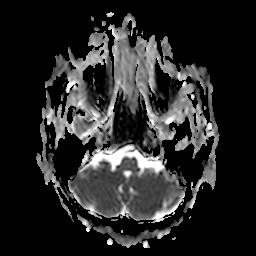
| field | value |
|---|---|
| modality | 3 Tesla brain MRI |
| series | apparent diffusion coefficient (ADC) map |
| study | ring-enhancing brain masses |